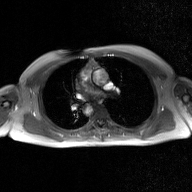
2D phase-contrast cine MRI of the ascending aorta, GAN super-resolution reconstruction.